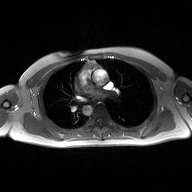
Q: What kind of scan is this?
A: 2D phase-contrast cine MRI of the ascending aorta.